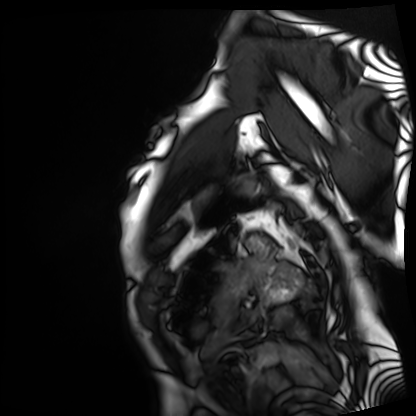
Cardiac MRI.
Subject group: patient.